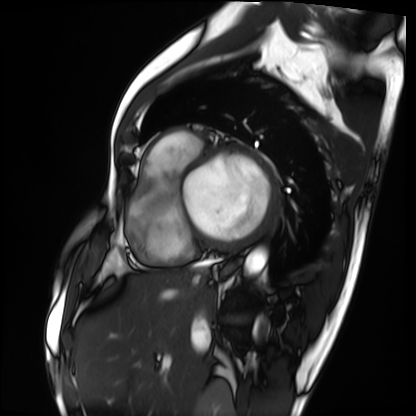
Cardiac MRI.
Subject group: patient.